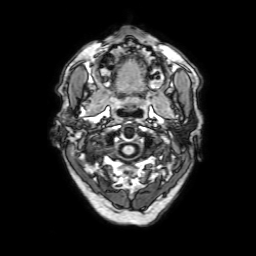
3 Tesla brain MRI. Series: 3D T1-weighted with SENSE. Study: ring-enhancing brain masses.